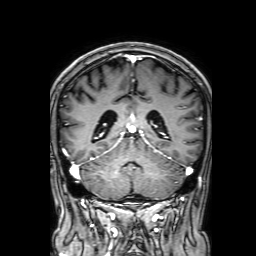
modality: 3 Tesla brain MRI; series: 3D T1-weighted with SENSE; study: ring-enhancing brain masses.